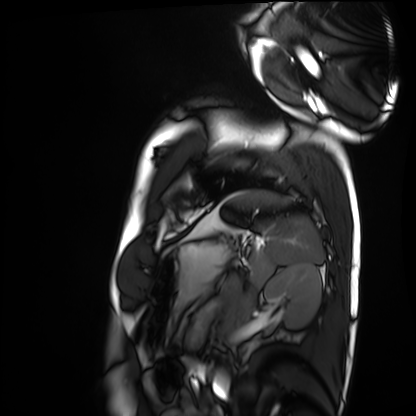
Clinical context: Cardiac MRI. Subject group: healthy volunteer.